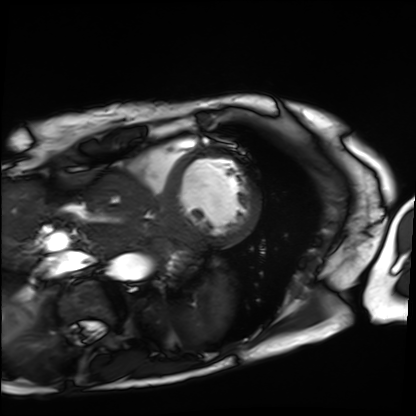
– modality: cardiac MRI
– subject group: patient